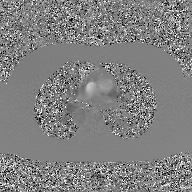
{
  "modality": {
    "type": "2D phase-contrast cine MRI",
    "region": "ascending aorta",
    "reconstruction": "GAN super-resolution reconstruction"
  }
}